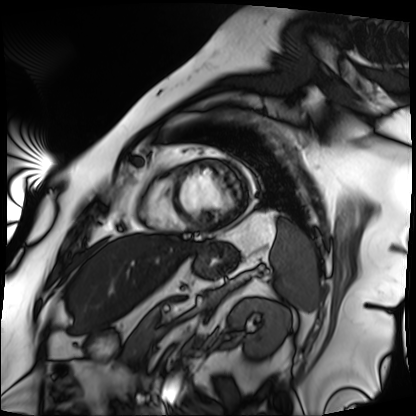
modality: cardiac MRI | subject group: patient.